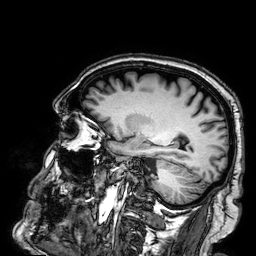
Q: What kind of scan is this?
A: 3 Tesla brain MRI.
Q: Series?
A: 3D T1-weighted.
Study: ring-enhancing brain masses.